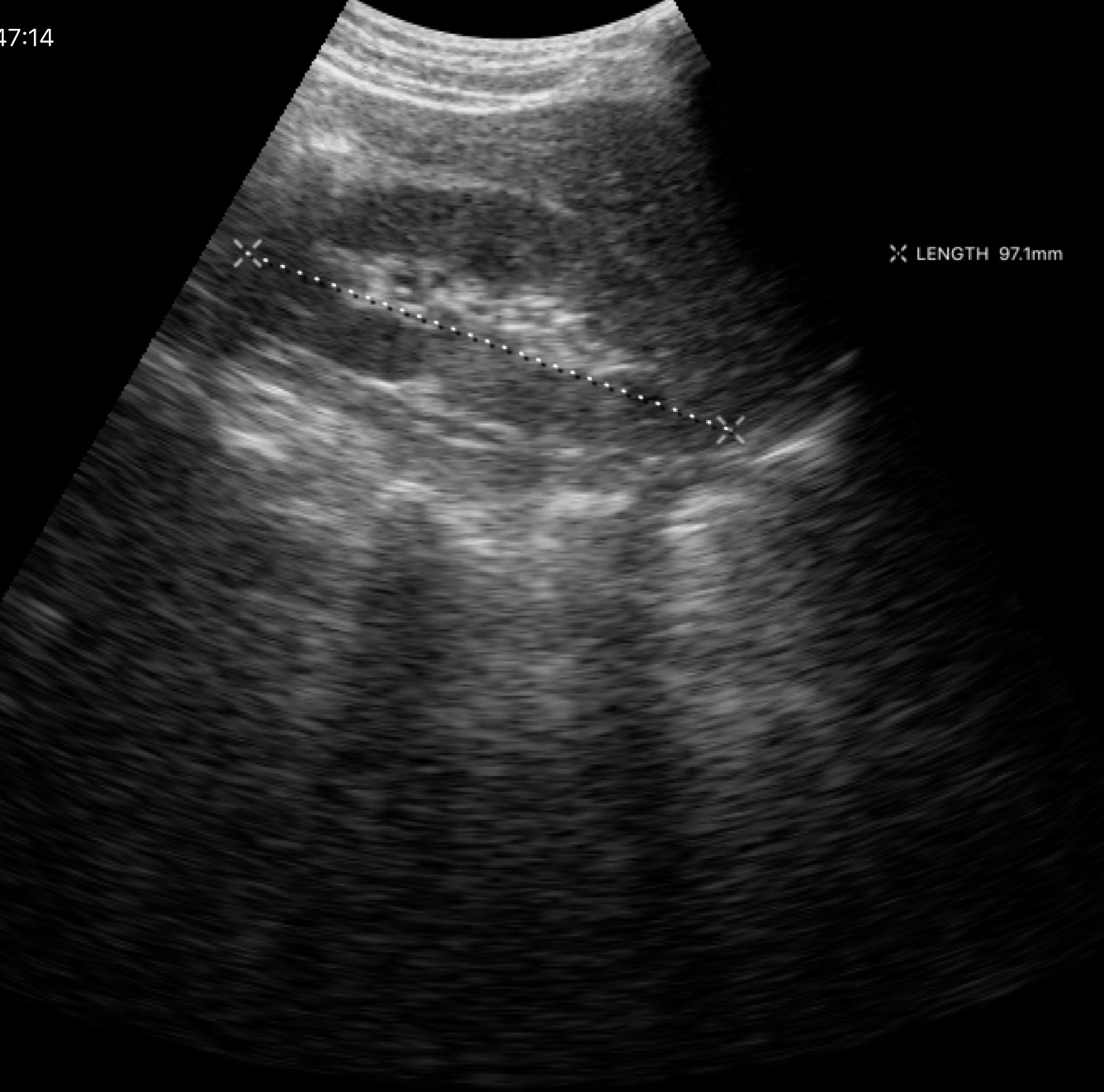
Genitourinary ultrasound.